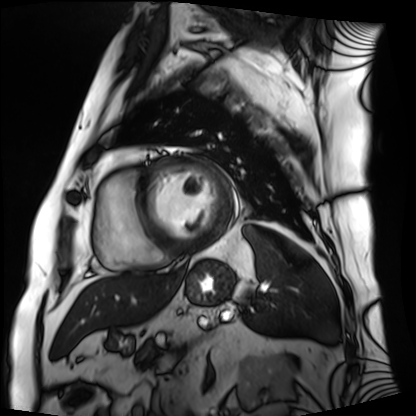
Cardiac MRI. Subject group: patient.